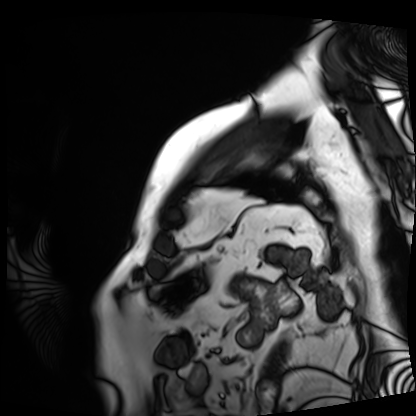
Cardiac MRI.
Subject group: patient.